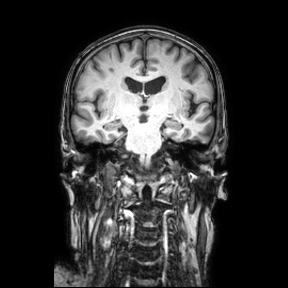
Case summary: 3 Tesla brain MRI. Series: coronal. Study: ring-enhancing brain masses.